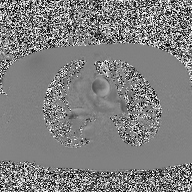
2D phase-contrast cine MRI of the ascending aorta, high-resolution GRAPPA acquisition.